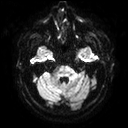
Case:
• modality — 3 Tesla brain MRI
• series — diffusion tensor imaging (medium iso)
• study — ring-enhancing brain masses